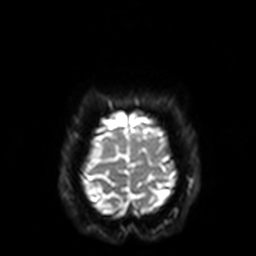
3 Tesla brain MRI. Series: diffusion-weighted imaging with SENSE (WIP). Study: ring-enhancing brain masses.